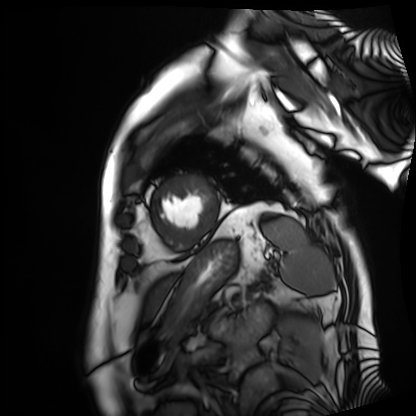
Cardiac MRI.
Subject group: patient.